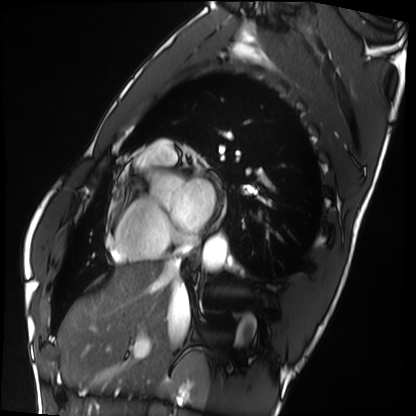
Cardiac MRI. Subject group: healthy volunteer.